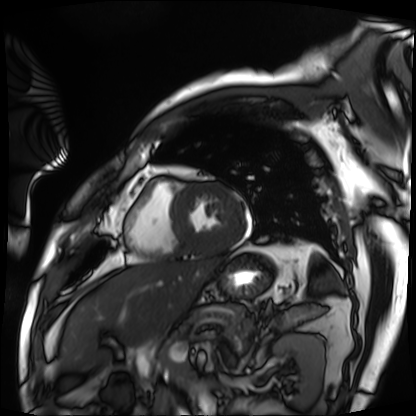
<scan>
  <modality>cardiac MRI</modality>
  <cohort>patient</cohort>
</scan>